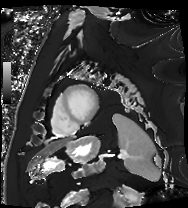
Cardiac MRI. Subject group: patient.